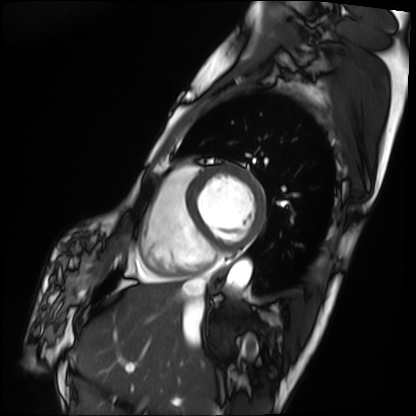
| field | value |
|---|---|
| modality | cardiac MRI |
| subject group | patient |